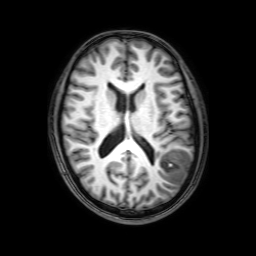
modality=3 Tesla brain MRI
series=3D T1-weighted with SENSE
study=ring-enhancing brain masses